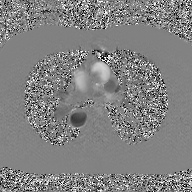
Case summary:
2D phase-contrast cine MRI of the ascending aorta, GAN super-resolution reconstruction.